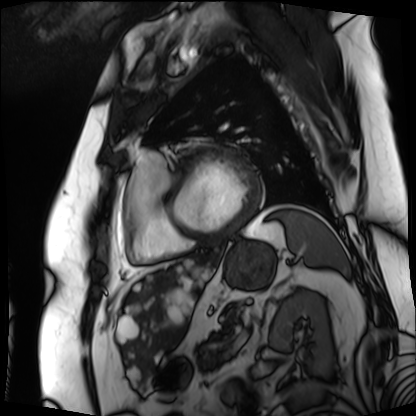
{"modality": "cardiac MRI", "cohort": "patient"}